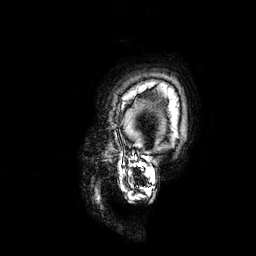
3 Tesla brain MRI. Series: 3D T1-weighted. Study: ring-enhancing brain masses.